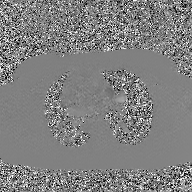
Case:
- modality: 2D phase-contrast cine MRI of the ascending aorta, GAN super-resolution reconstruction